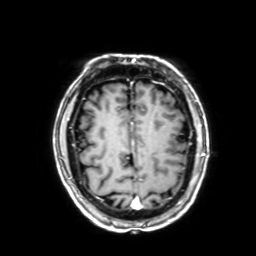
Q: What kind of scan is this?
A: 3 Tesla brain MRI.
Q: Series?
A: 3D T1-weighted with SENSE.
Study: ring-enhancing brain masses.